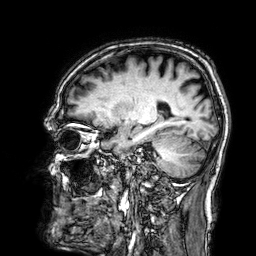
3 Tesla brain MRI.
Series: 3D T1-weighted.
Study: ring-enhancing brain masses.